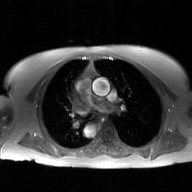
modality = 2D phase-contrast cine MRI of the ascending aorta, GAN super-resolution reconstruction